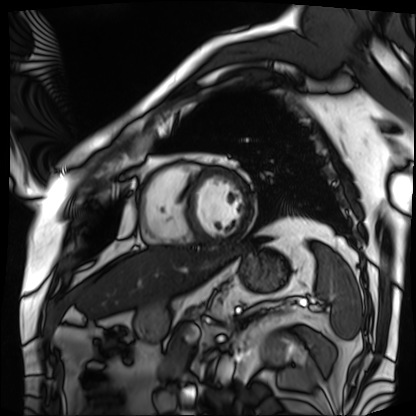
Clinical context: Cardiac MRI. Subject group: patient.